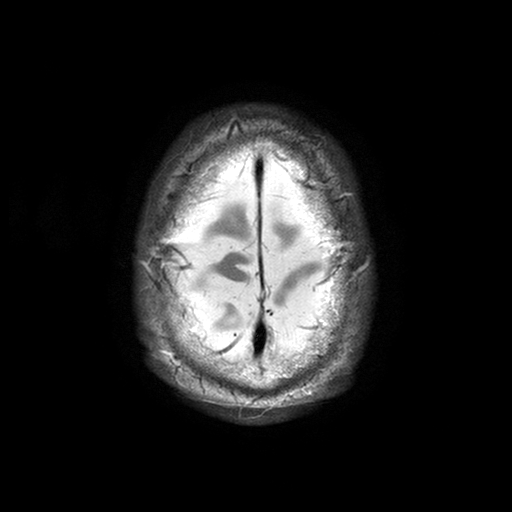
Summary:
3 Tesla brain MRI. Series: T2-weighted turbo spin echo with SENSE. Study: ring-enhancing brain masses.